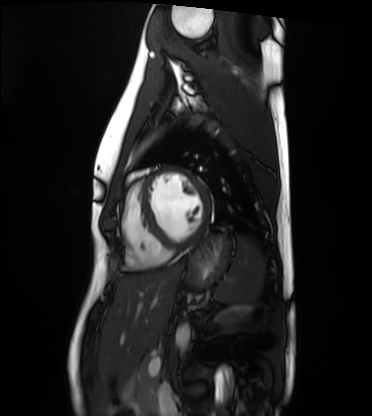
Summary:
Cardiac MRI. Subject group: healthy volunteer.